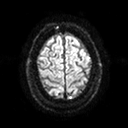
Summary:
3 Tesla brain MRI. Series: diffusion tensor imaging (medium iso). Study: ring-enhancing brain masses.